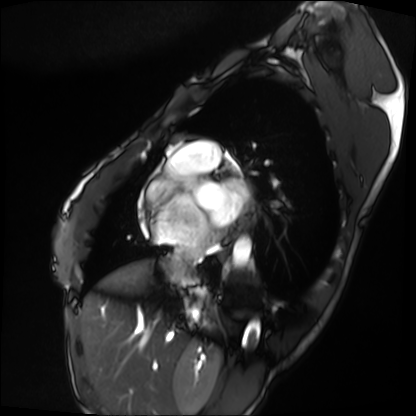
modality = cardiac MRI
subject group = patient